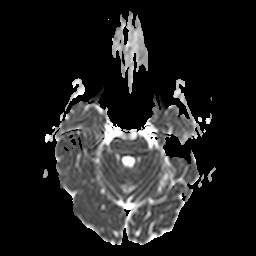
<case>
  <modality>
    <type>brain MRI</type>
    <field_strength>3T</field_strength>
  </modality>
  <series>apparent diffusion coefficient (ADC) map</series>
  <study_topic>ring-enhancing brain masses</study_topic>
</case>